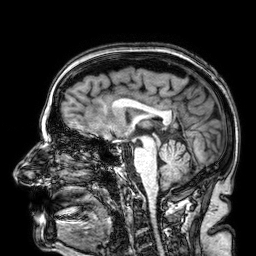
| field | value |
|---|---|
| modality | 3 Tesla brain MRI |
| series | 3D T1-weighted |
| study | ring-enhancing brain masses |